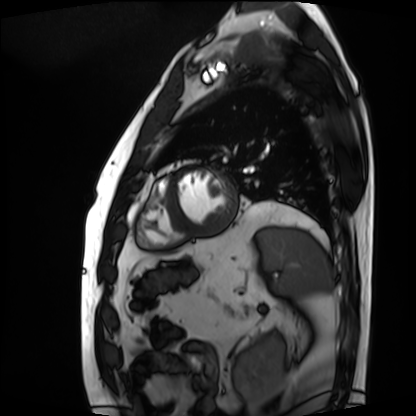
Case summary:
Cardiac MRI. Subject group: patient.